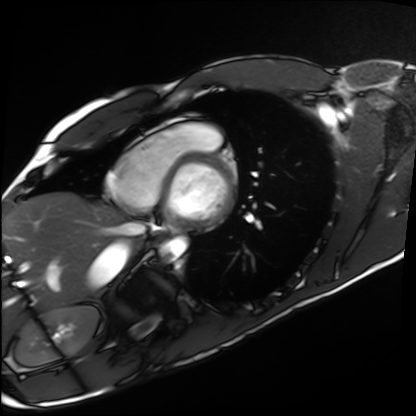
modality = cardiac MRI | subject group = healthy volunteer.